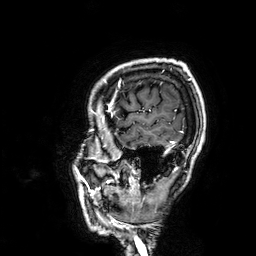
<record>
<modality>
  <type>brain MRI</type>
  <field_strength>3T</field_strength>
</modality>
<series>3D T1-weighted</series>
<study_topic>ring-enhancing brain masses</study_topic>
</record>